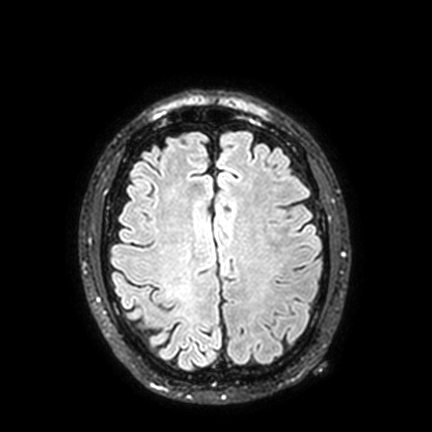
Q: What kind of scan is this?
A: 3 Tesla brain MRI.
Q: Series?
A: FLAIR VISTA with SENSE.
Study: ring-enhancing brain masses.